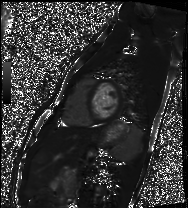
{"modality": "cardiac MRI", "cohort": "healthy volunteer"}